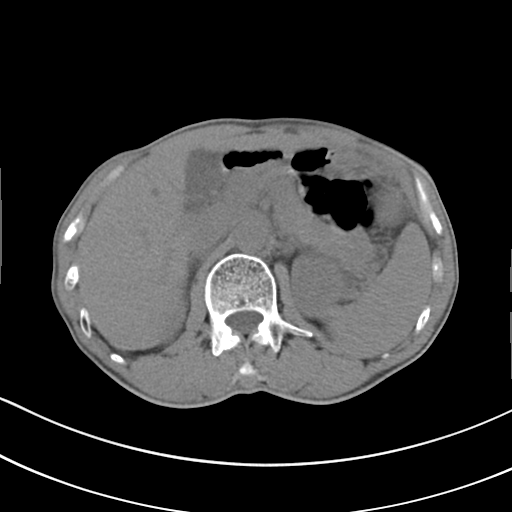
Summary: Multiphase abdominal CT, liver, non-contrast phase. Patient: male, age 62. History: cirrhosis, viral hepatitis.